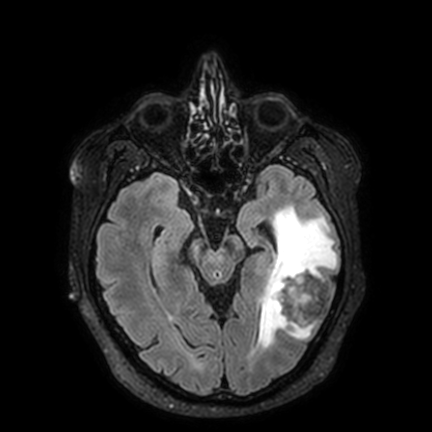
3 Tesla brain MRI. Series: FLAIR VISTA with SENSE. Study: ring-enhancing brain masses.